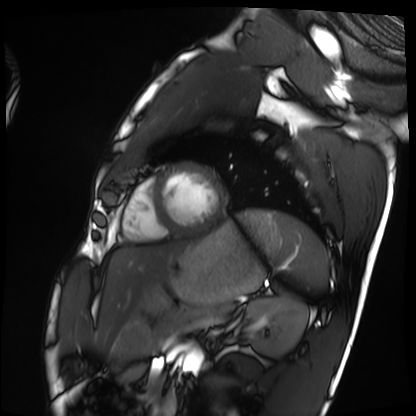
modality = cardiac MRI, subject group = healthy volunteer.